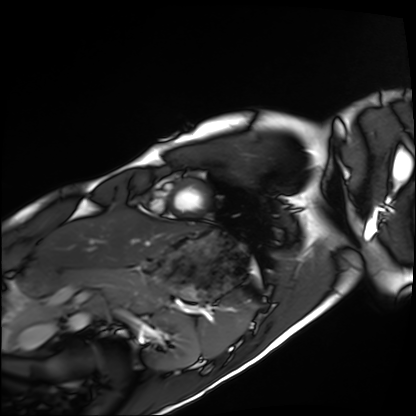
{"modality": "cardiac MRI", "cohort": "healthy volunteer"}